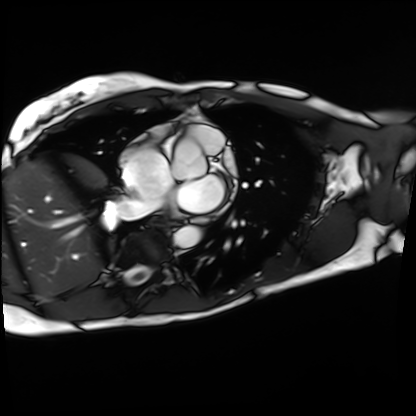
Cardiac MRI. Subject group: patient.